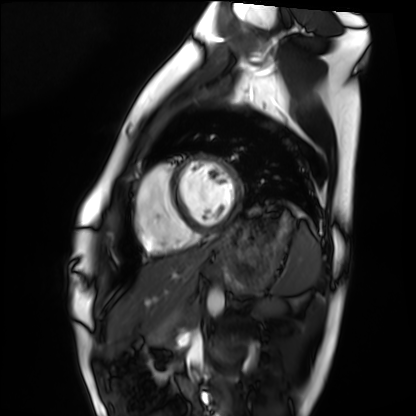
Cardiac MRI. Subject group: healthy volunteer.